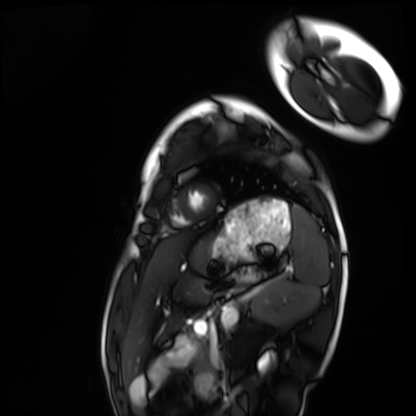
modality: cardiac MRI, subject group: healthy volunteer.